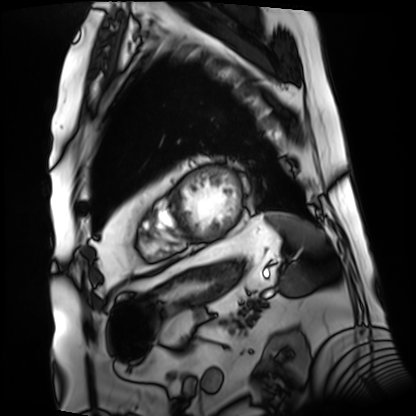
modality = cardiac MRI, subject group = patient.